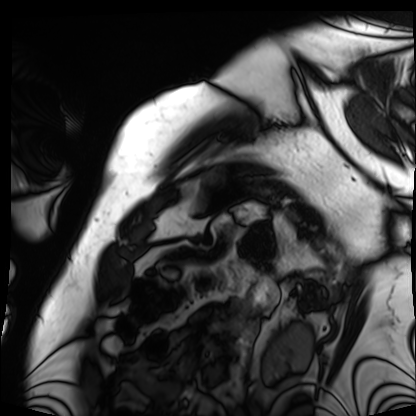
Case summary: Cardiac MRI. Subject group: patient.